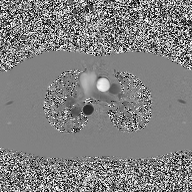
2D phase-contrast cine MRI of the ascending aorta, high-resolution GRAPPA acquisition.